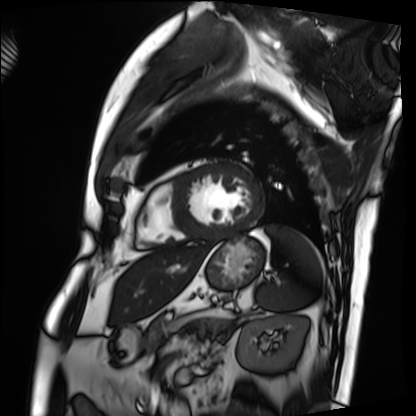
modality: cardiac MRI | subject group: patient.